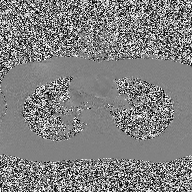
| field | value |
|---|---|
| modality | 2D phase-contrast cine MRI of the ascending aorta |